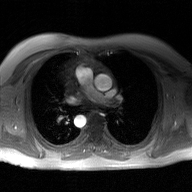
<scan>
<modality>
  <type>2D phase-contrast cine MRI</type>
  <region>ascending aorta</region>
  <reconstruction>GAN super-resolution reconstruction</reconstruction>
</modality>
</scan>